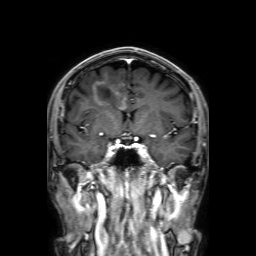
modality: 3 Tesla brain MRI
series: 3D T1-weighted with SENSE
study: ring-enhancing brain masses